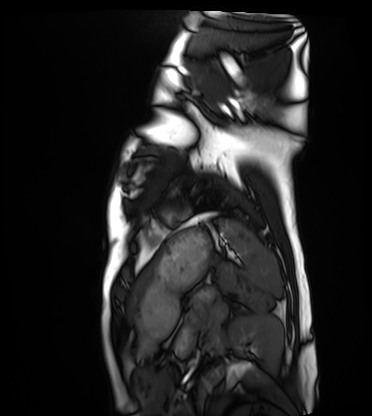
Cardiac MRI.
Subject group: healthy volunteer.